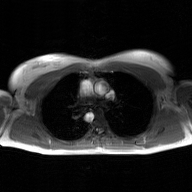
2D phase-contrast cine MRI of the ascending aorta, GAN super-resolution reconstruction.